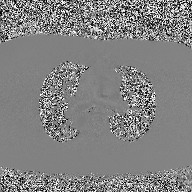
  modality:
    type: 2D phase-contrast cine MRI
    region: ascending aorta
    reconstruction: high-resolution GRAPPA acquisition